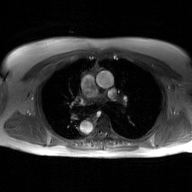
2D phase-contrast cine MRI of the ascending aorta, GAN super-resolution reconstruction.